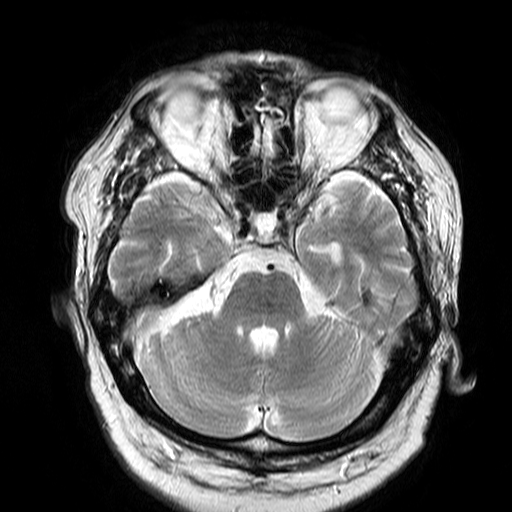
3 Tesla brain MRI. Series: T2-weighted turbo spin echo. Study: ring-enhancing brain masses.